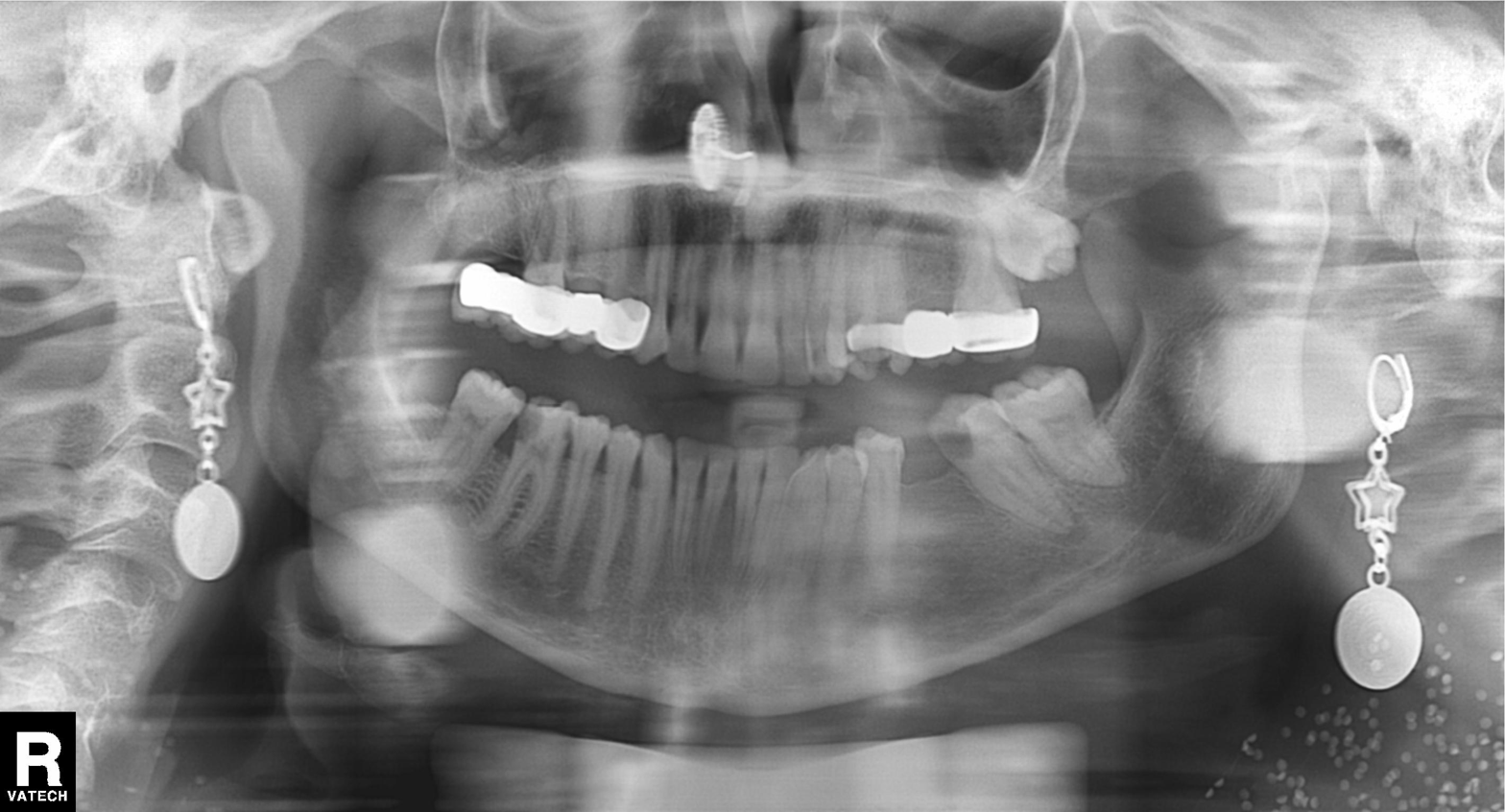
Panoramic dental radiograph (orthopantomogram). Finding: dental caries (cavities).